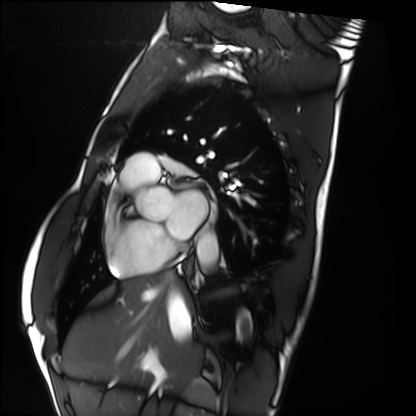
{"modality": "cardiac MRI", "cohort": "healthy volunteer"}